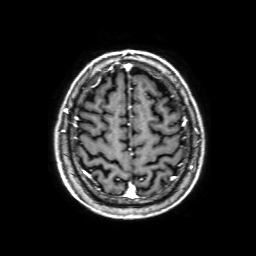
Summary: 3 Tesla brain MRI. Series: 3D T1-weighted with SENSE. Study: ring-enhancing brain masses.